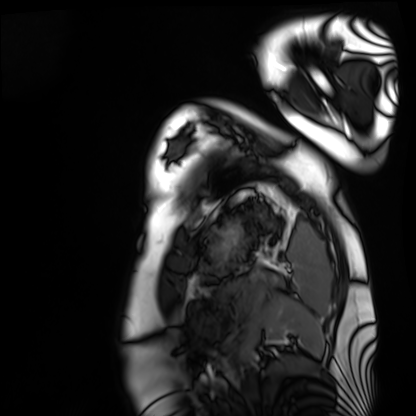
• modality — cardiac MRI
• subject group — healthy volunteer